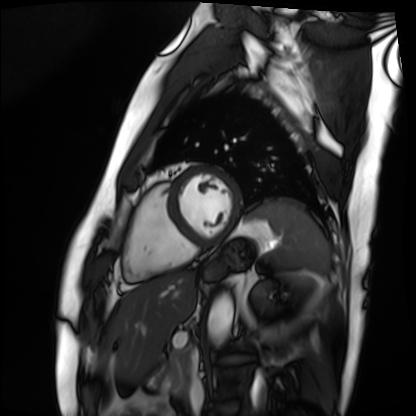
Q: What kind of scan is this?
A: Cardiac MRI.
Subject group: patient.